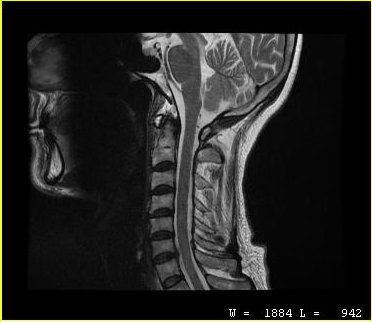
modality: MRI of the cervical spine | study: cervical spondylosis.